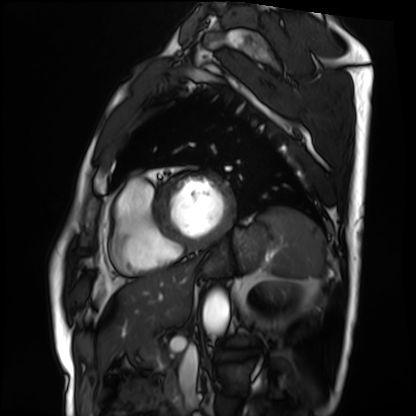
modality=cardiac MRI; subject group=patient.